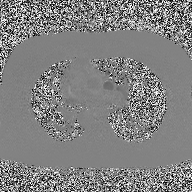
2D phase-contrast cine MRI of the ascending aorta, high-resolution GRAPPA acquisition.